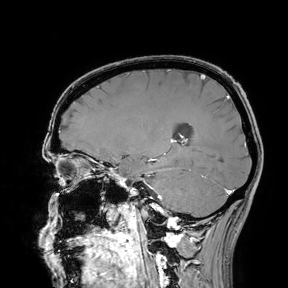
Q: What kind of scan is this?
A: 3 Tesla brain MRI.
Study: ring-enhancing brain masses.